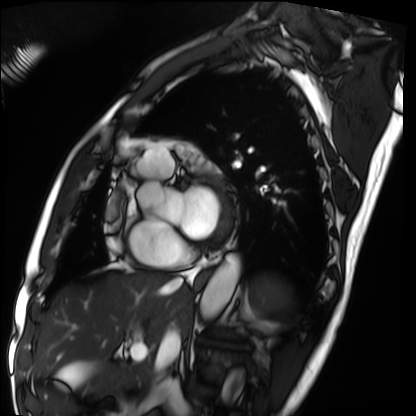
Cardiac MRI.
Subject group: patient.